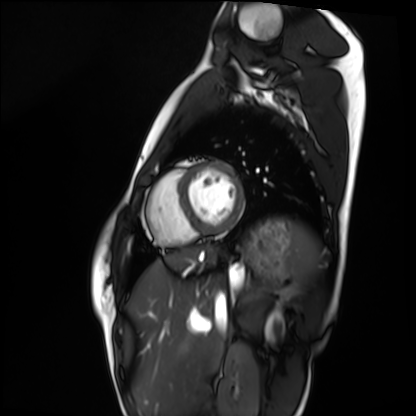
Cardiac MRI.
Subject group: healthy volunteer.